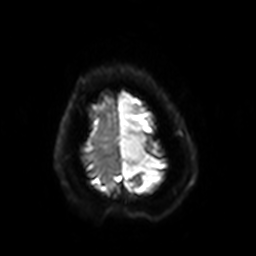
modality — 3 Tesla brain MRI
series — diffusion-weighted imaging with SENSE (WIP)
study — ring-enhancing brain masses